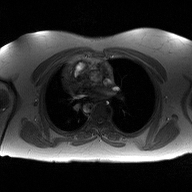
Q: What kind of scan is this?
A: 2D phase-contrast cine MRI of the ascending aorta.